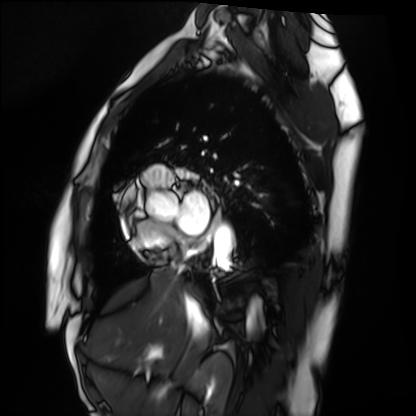
modality = cardiac MRI
subject group = healthy volunteer